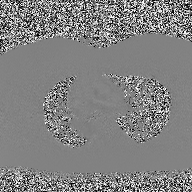
2D phase-contrast cine MRI of the ascending aorta, high-resolution GRAPPA acquisition.